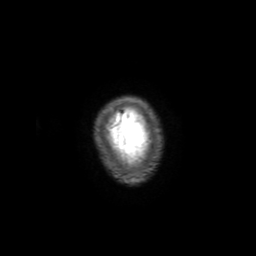
3 Tesla brain MRI. Series: 3D T1-weighted with SENSE. Study: ring-enhancing brain masses.